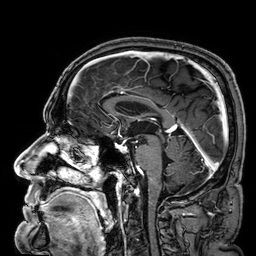
modality:
  type: brain MRI
  field_strength: 3T
series: 3D T1-weighted
study_topic: ring-enhancing brain masses